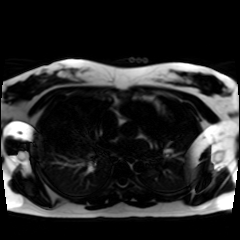
Summary:
Chemical-shift-encoded cardiac MRI.